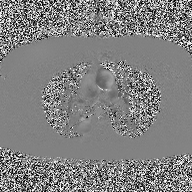
Q: What kind of scan is this?
A: 2D phase-contrast cine MRI of the ascending aorta.